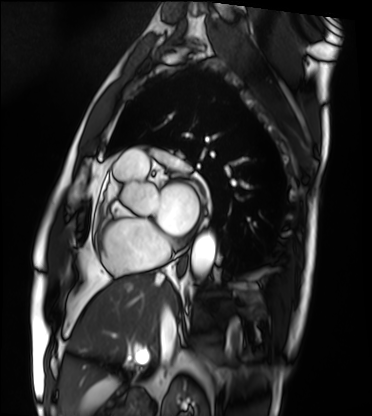
  modality: cardiac MRI
  cohort: patient